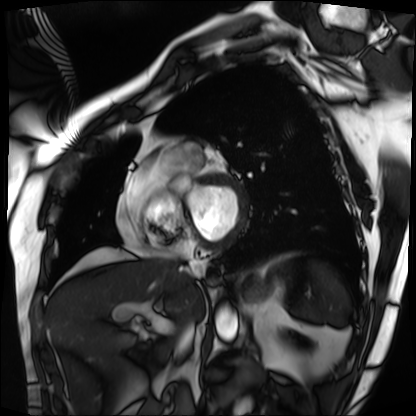
Cardiac MRI. Subject group: patient.